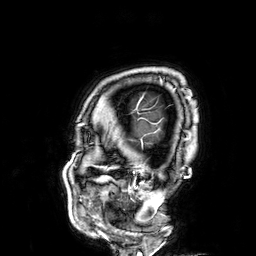
Q: What kind of scan is this?
A: 3 Tesla brain MRI.
Q: Series?
A: 3D T1-weighted.
Study: ring-enhancing brain masses.